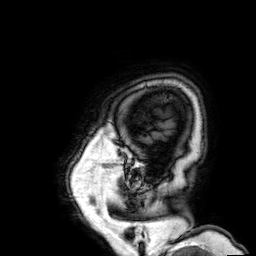
3 Tesla brain MRI. Series: 3D T1-weighted. Study: ring-enhancing brain masses.